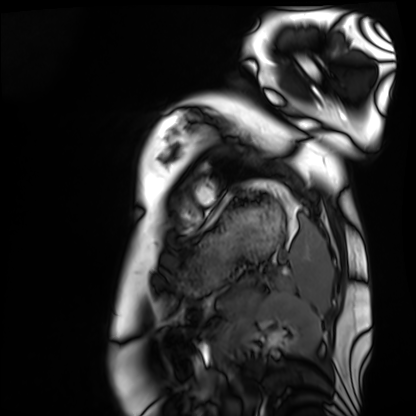
<case>
  <modality>cardiac MRI</modality>
  <cohort>healthy volunteer</cohort>
</case>